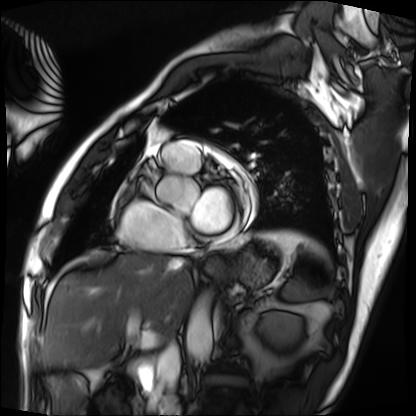
modality=cardiac MRI | subject group=patient.